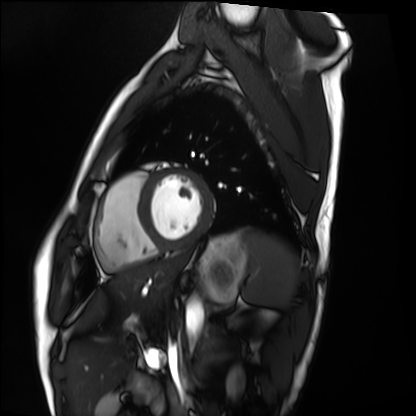
Case summary:
Cardiac MRI. Subject group: healthy volunteer.